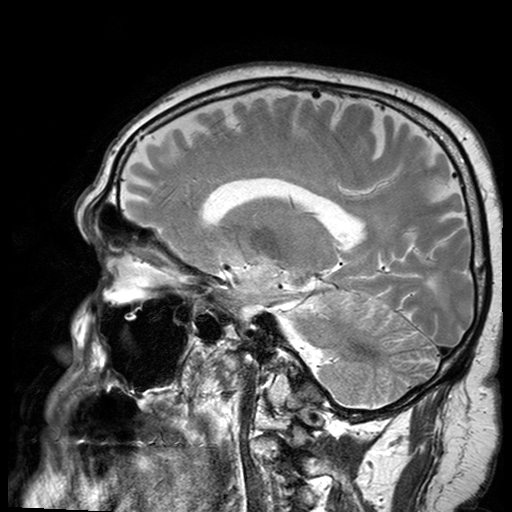
• modality · 3 Tesla brain MRI
• series · T2-weighted turbo spin echo with SENSE
• study · ring-enhancing brain masses